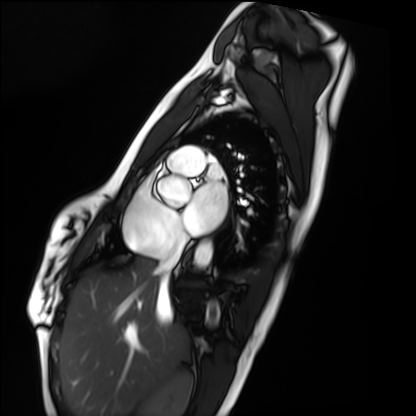
Cardiac MRI. Subject group: healthy volunteer.